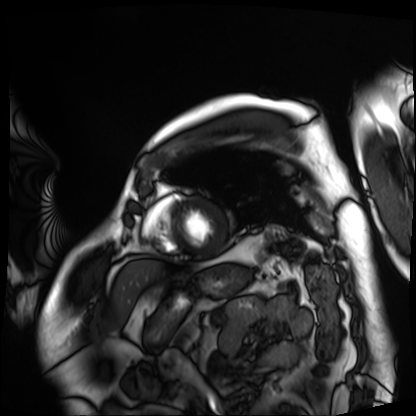
Summary: Cardiac MRI. Subject group: patient.